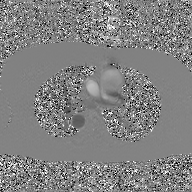
2D phase-contrast cine MRI of the ascending aorta, GAN super-resolution reconstruction.